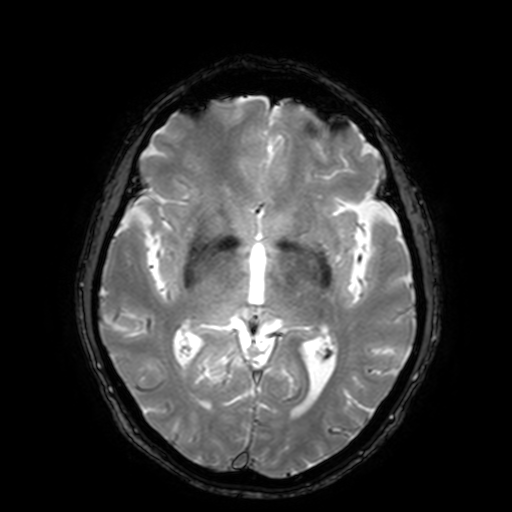
Summary:
3 Tesla brain MRI. Series: T2-weighted fast field echo with SENSE. Study: ring-enhancing brain masses.